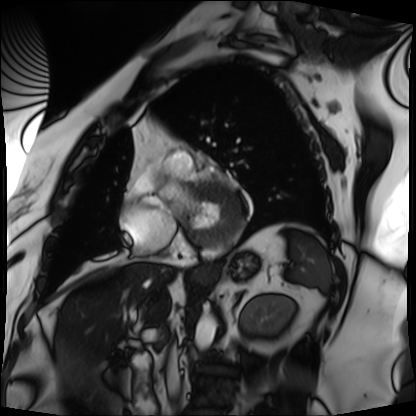
Cardiac MRI. Subject group: patient.